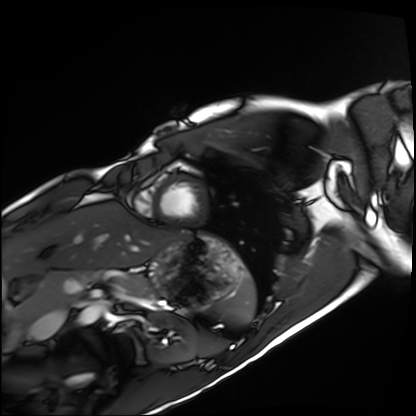
modality = cardiac MRI; subject group = healthy volunteer.